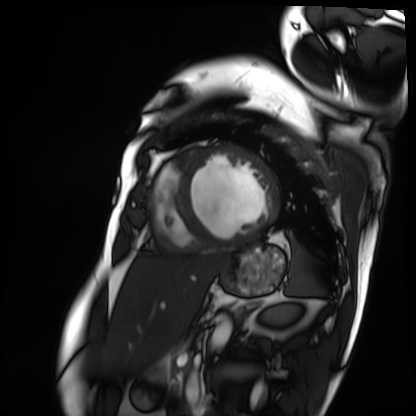
Q: What kind of scan is this?
A: Cardiac MRI.
Subject group: patient.